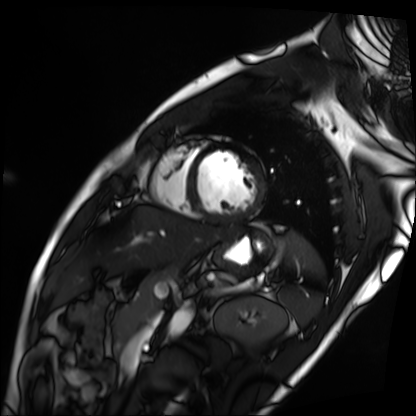
Cardiac MRI. Subject group: patient.